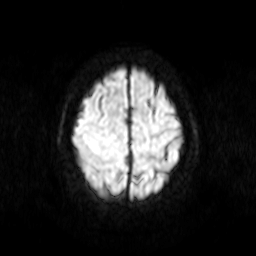
3 Tesla brain MRI.
Series: diffusion-weighted imaging.
Study: ring-enhancing brain masses.